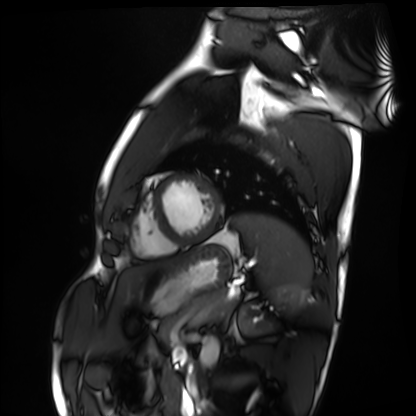
Q: What kind of scan is this?
A: Cardiac MRI.
Subject group: healthy volunteer.